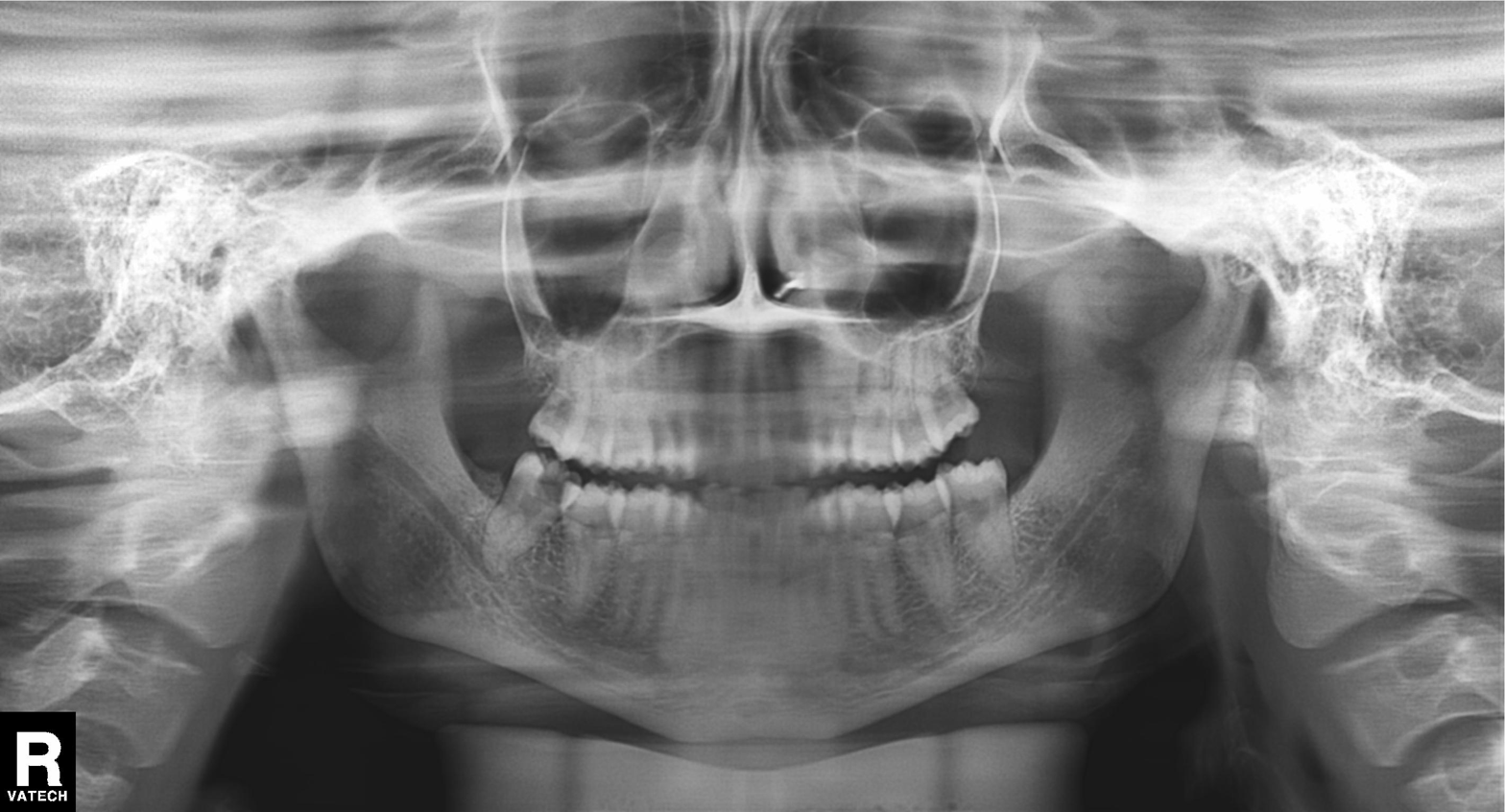
modality = panoramic dental radiograph (orthopantomogram) | finding = dental caries (cavities).